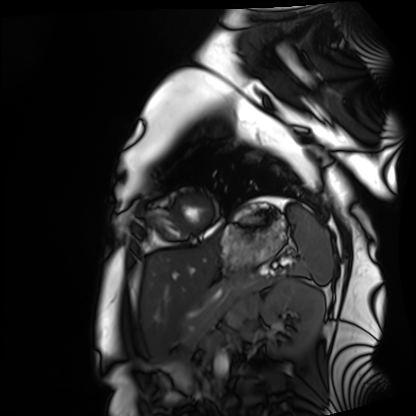
Cardiac MRI. Subject group: healthy volunteer.